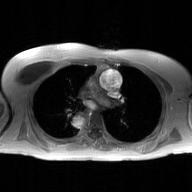
modality: 2D phase-contrast cine MRI of the ascending aorta, GAN super-resolution reconstruction.